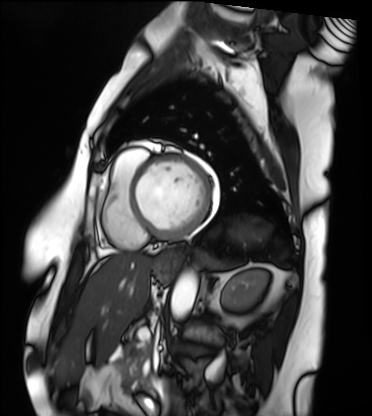
modality = cardiac MRI | subject group = patient.